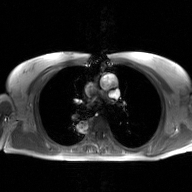
2D phase-contrast cine MRI of the ascending aorta, GAN super-resolution reconstruction.